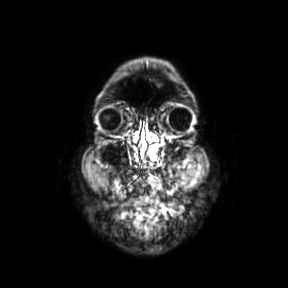
3 Tesla brain MRI. Series: coronal. Study: ring-enhancing brain masses.